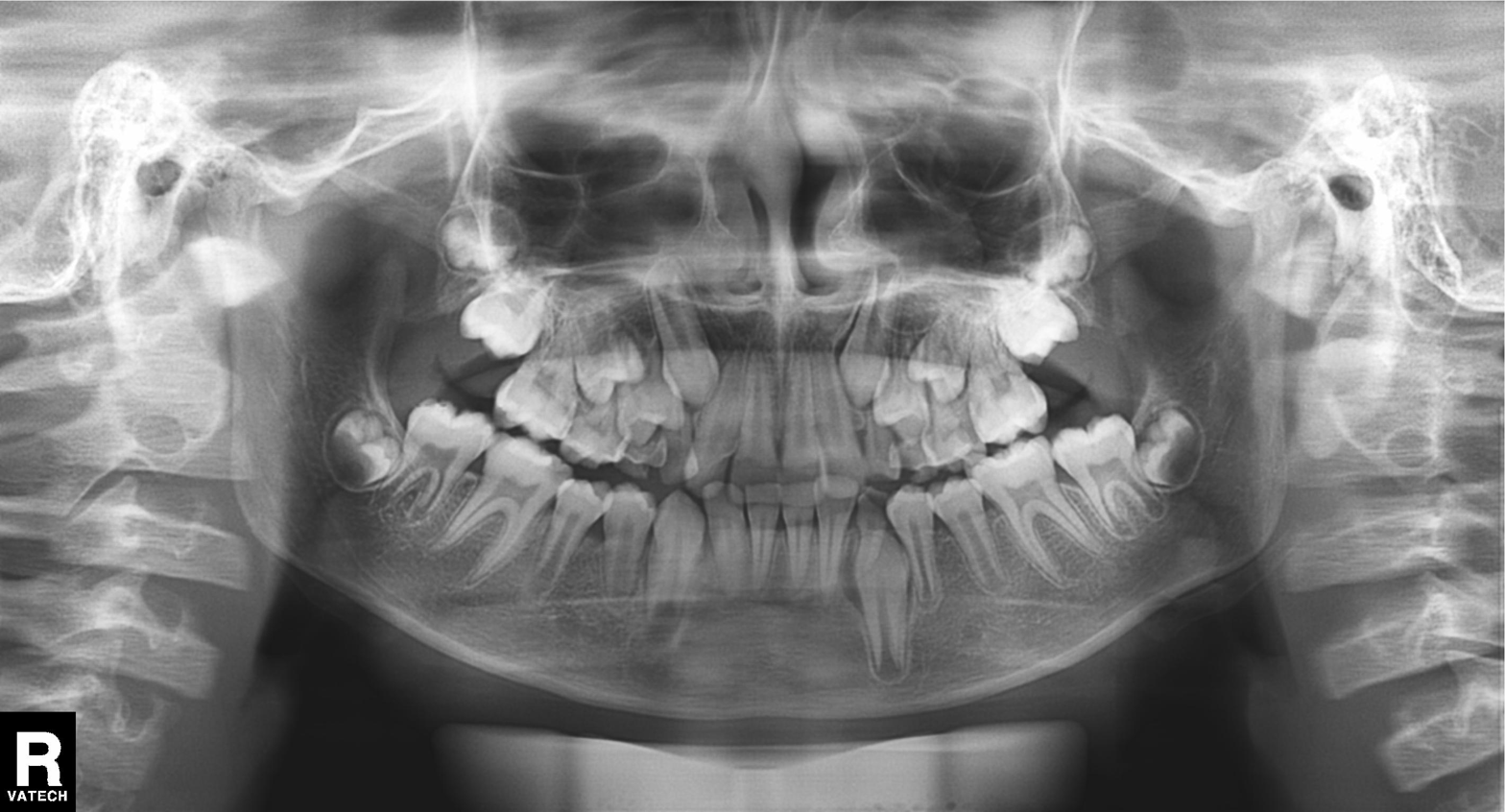
Findings:
• modality · panoramic dental radiograph (orthopantomogram)
• finding · tooth impaction